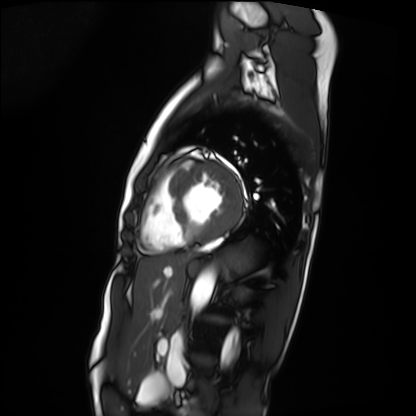
Summary:
Cardiac MRI. Subject group: patient.